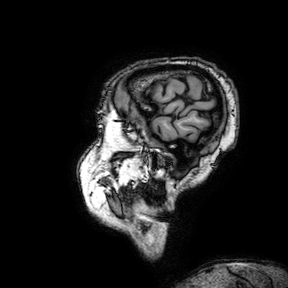
3 Tesla brain MRI.
Series: 3D T1-weighted turbo field echo with SENSE.
Study: ring-enhancing brain masses.